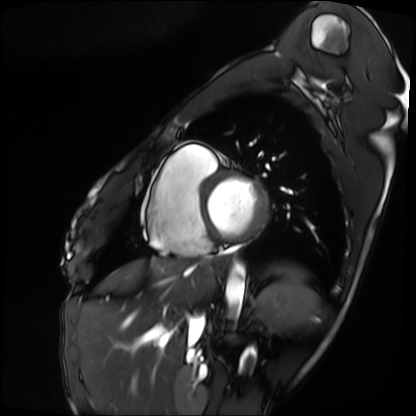
Cardiac MRI. Subject group: patient.